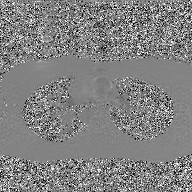
Case summary:
2D phase-contrast cine MRI of the ascending aorta, GAN super-resolution reconstruction.